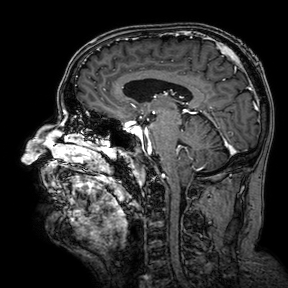
Q: What kind of scan is this?
A: 3 Tesla brain MRI.
Q: Series?
A: 3D T1-weighted turbo field echo with SENSE.
Study: ring-enhancing brain masses.